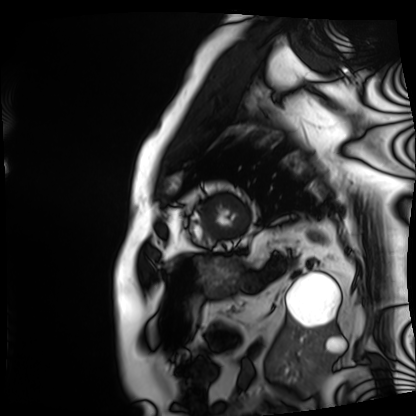
Summary:
Cardiac MRI. Subject group: patient.